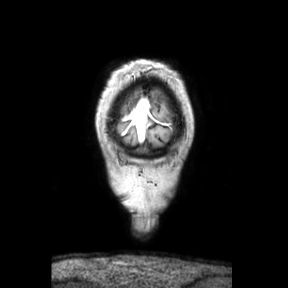
Q: What kind of scan is this?
A: 3 Tesla brain MRI.
Q: Series?
A: Coronal.
Study: ring-enhancing brain masses.